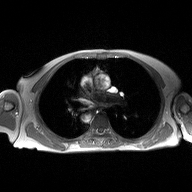
{
  "modality": {
    "type": "2D phase-contrast cine MRI",
    "region": "ascending aorta",
    "reconstruction": "high-resolution GRAPPA acquisition"
  }
}